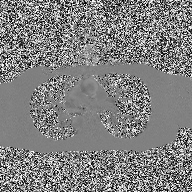
2D phase-contrast cine MRI of the ascending aorta, high-resolution GRAPPA acquisition.